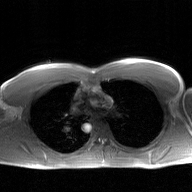
* modality · 2D phase-contrast cine MRI of the ascending aorta, GAN super-resolution reconstruction